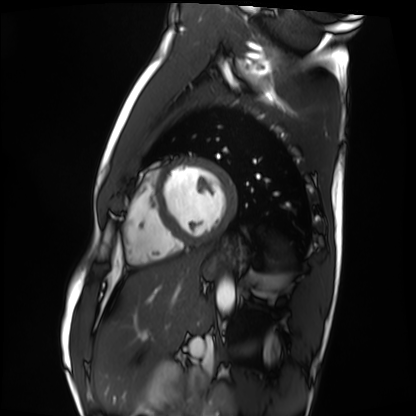
Case summary:
Cardiac MRI. Subject group: healthy volunteer.